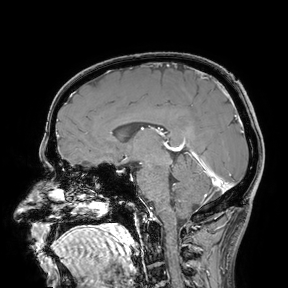
{
  "modality": {
    "type": "brain MRI",
    "field_strength": "3T"
  },
  "study_topic": "ring-enhancing brain masses"
}